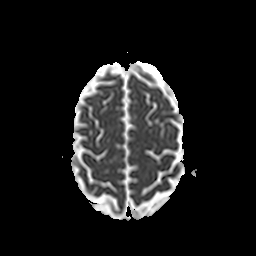
Clinical context:
3 Tesla brain MRI. Series: apparent diffusion coefficient (ADC) map. Study: ring-enhancing brain masses.